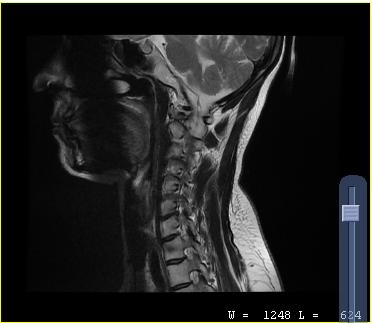
{"modality": {"type": "cervical spine MRI"}, "study_topic": "cervical spondylosis"}